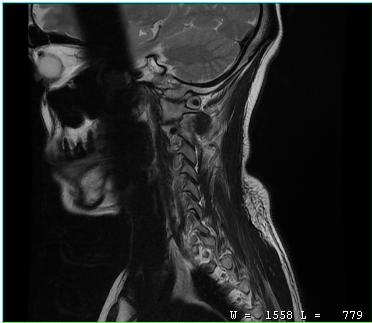
| field | value |
|---|---|
| modality | MRI of the cervical spine |
| study | cervical spondylosis |